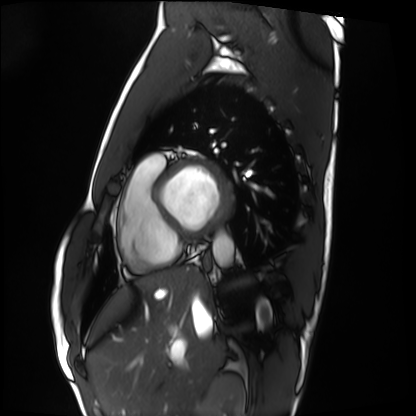
modality — cardiac MRI | subject group — healthy volunteer.